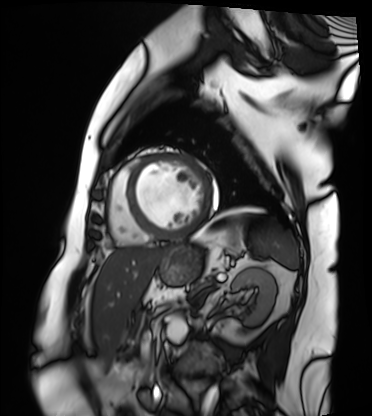
<case>
  <modality>cardiac MRI</modality>
  <cohort>patient</cohort>
</case>